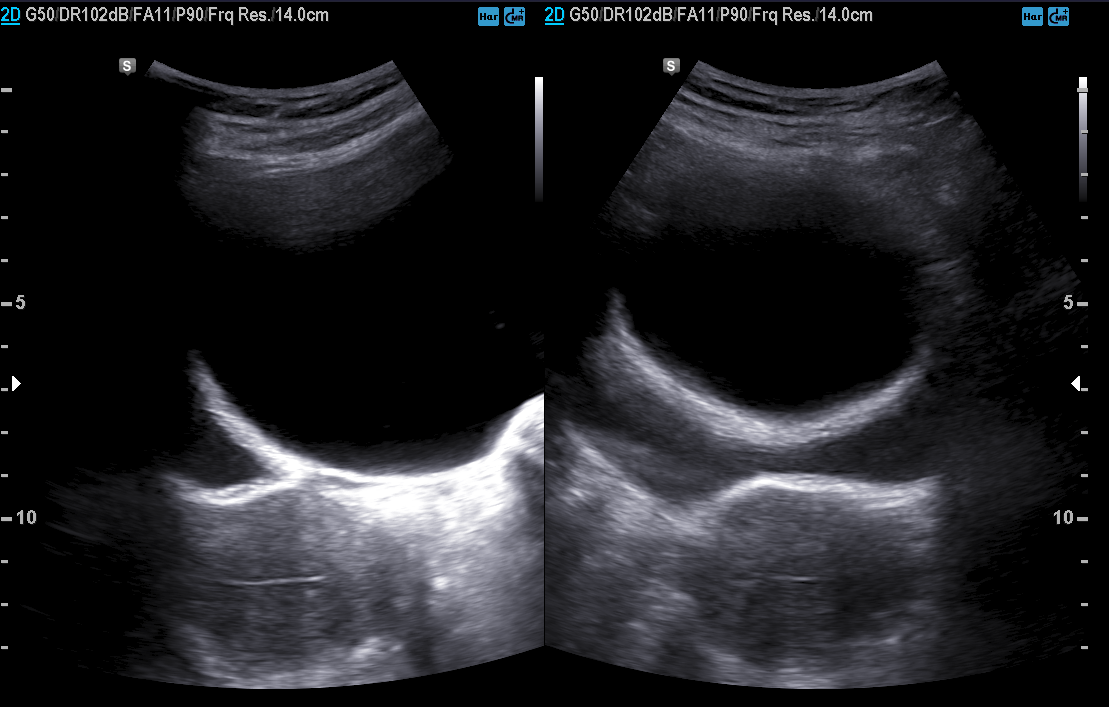
• modality · genitourinary ultrasound